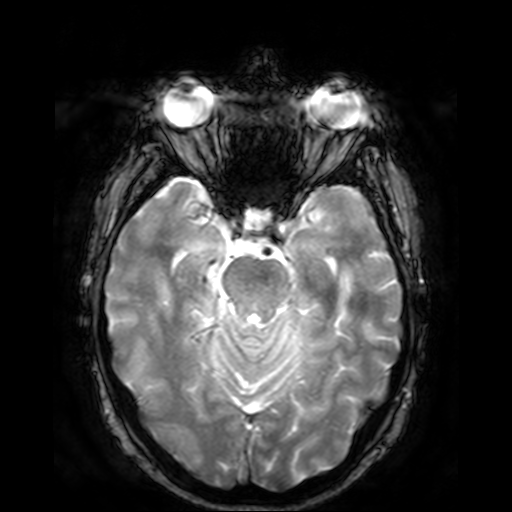
| field | value |
|---|---|
| modality | 3 Tesla brain MRI |
| series | T2-weighted fast field echo |
| study | ring-enhancing brain masses |